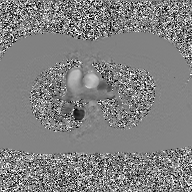
Q: What kind of scan is this?
A: 2D phase-contrast cine MRI of the ascending aorta, GAN super-resolution reconstruction.